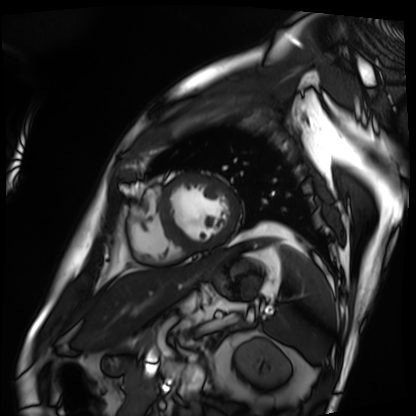
Summary:
Cardiac MRI. Subject group: patient.